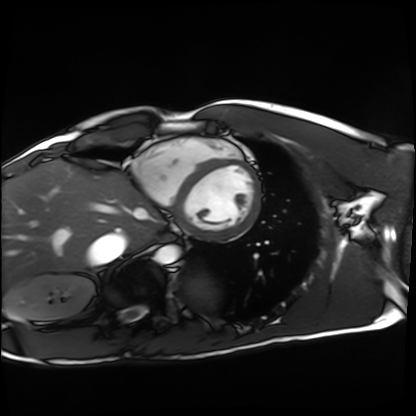
Q: What kind of scan is this?
A: Cardiac MRI.
Subject group: healthy volunteer.